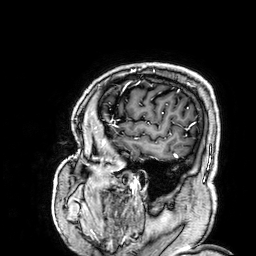
Q: What kind of scan is this?
A: 3 Tesla brain MRI.
Q: Series?
A: 3D T1-weighted.
Study: ring-enhancing brain masses.